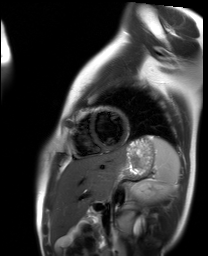
Cardiac MR image of the myocardium.
Subject cohort: healthy volunteer.